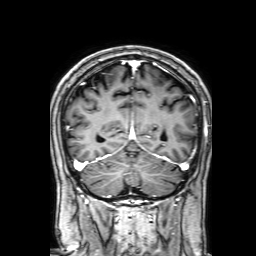
3 Tesla brain MRI. Series: 3D T1-weighted with SENSE. Study: ring-enhancing brain masses.